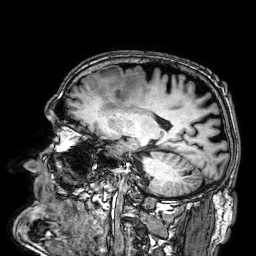
modality:
  type: brain MRI
  field_strength: 3T
series: 3D T1-weighted
study_topic: ring-enhancing brain masses